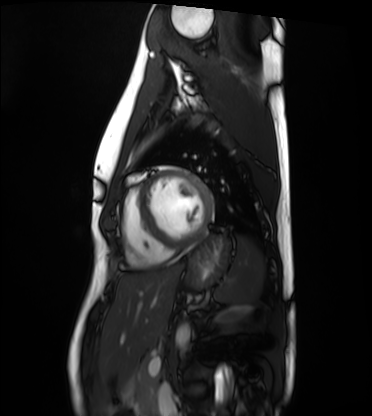
Cardiac MRI. Subject group: healthy volunteer.